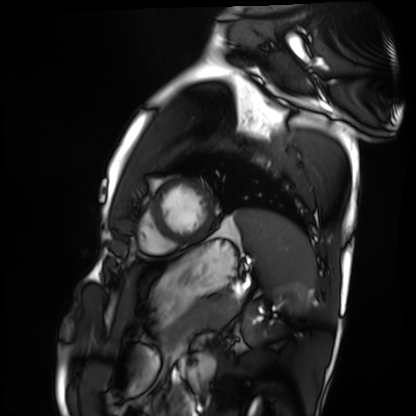
Case:
- modality · cardiac MRI
- subject group · healthy volunteer